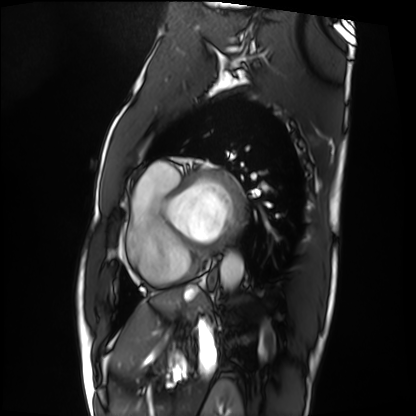
Cardiac MRI. Subject group: patient.